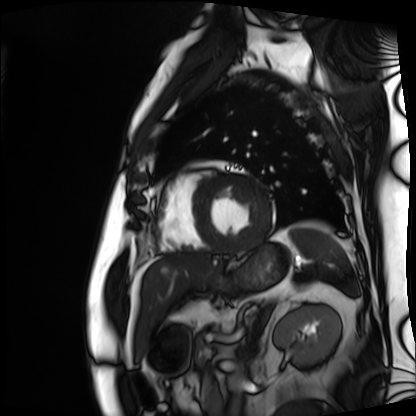
Summary: Cardiac MRI. Subject group: patient.